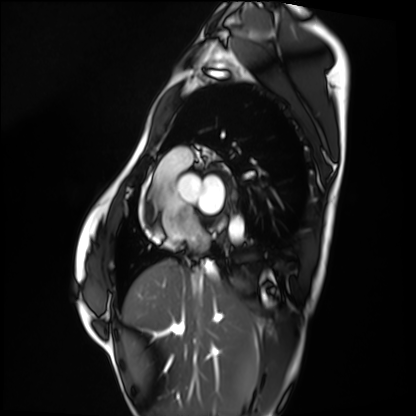
Cardiac MRI. Subject group: healthy volunteer.